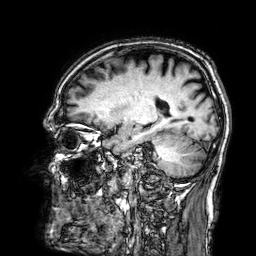
Q: What kind of scan is this?
A: 3 Tesla brain MRI.
Q: Series?
A: 3D T1-weighted.
Study: ring-enhancing brain masses.